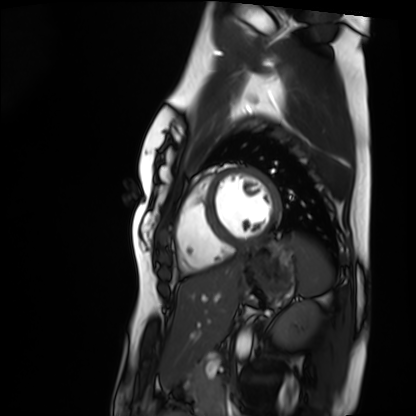
Cardiac MRI.
Subject group: healthy volunteer.